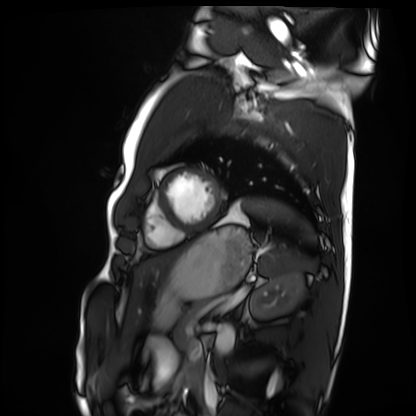
modality — cardiac MRI; subject group — healthy volunteer.